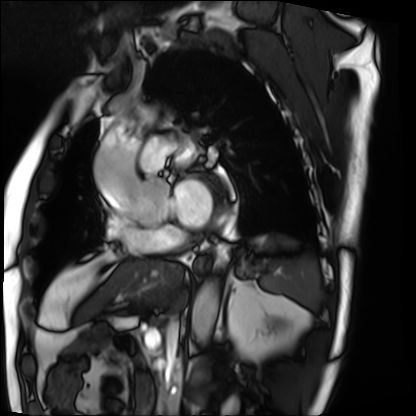
Cardiac MRI.
Subject group: patient.